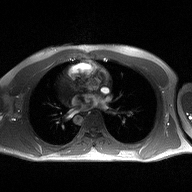
- modality: 2D phase-contrast cine MRI of the ascending aorta